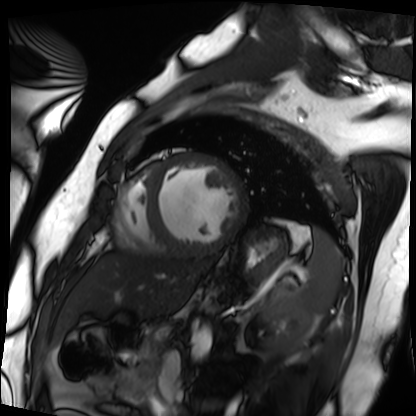
modality = cardiac MRI | subject group = patient.